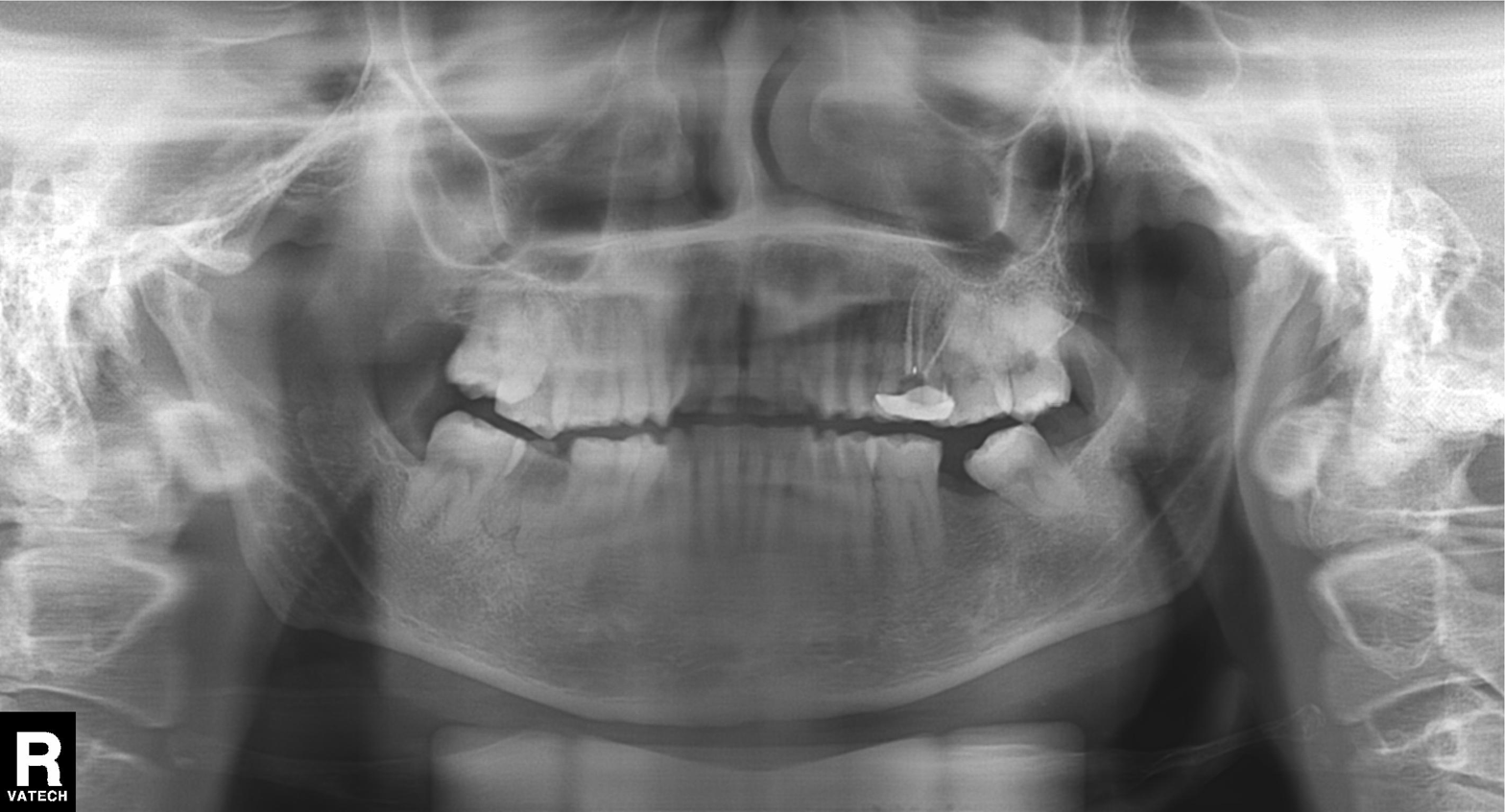
modality = panoramic dental radiograph (orthopantomogram); finding = dental caries (cavities).